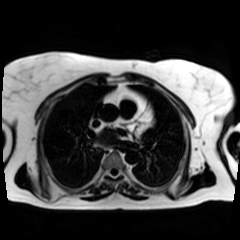
{
  "modality": "chemical-shift-encoded cardiac MRI"
}